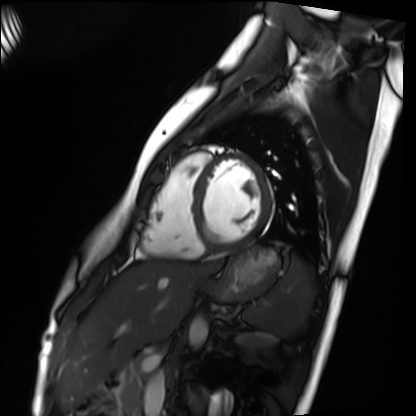
Case summary: Cardiac MRI. Subject group: healthy volunteer.